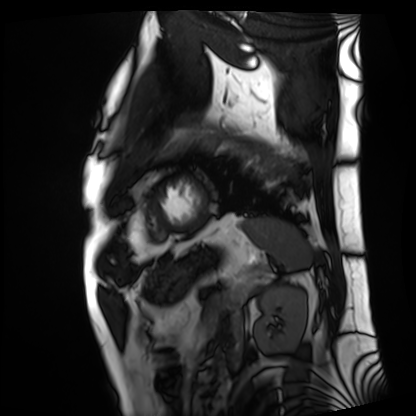
Q: What kind of scan is this?
A: Cardiac MRI.
Subject group: patient.